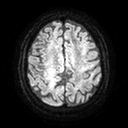
Clinical context: 3 Tesla brain MRI. Series: diffusion tensor imaging (medium iso). Study: ring-enhancing brain masses.